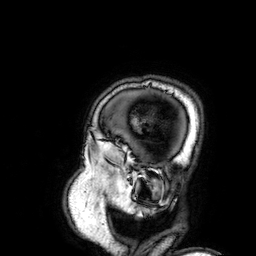
– modality · 3 Tesla brain MRI
– series · 3D T1-weighted
– study · ring-enhancing brain masses